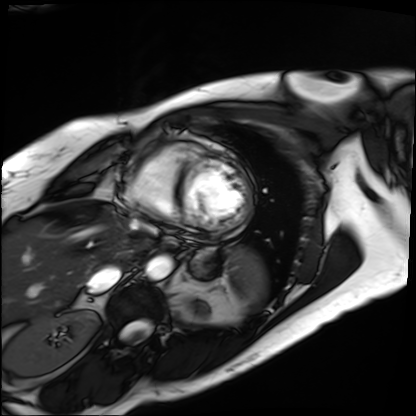
Cardiac MRI. Subject group: patient.